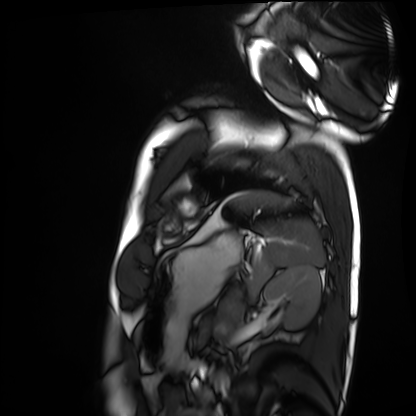
Cardiac MRI. Subject group: healthy volunteer.